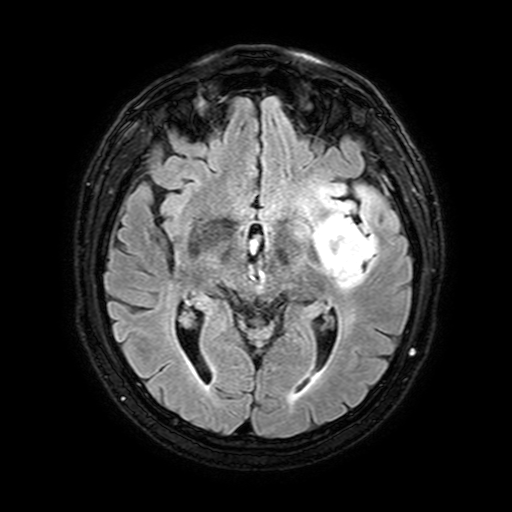
modality: 3 Tesla brain MRI | series: FLAIR with SPAIR, 3 mm | study: ring-enhancing brain masses.